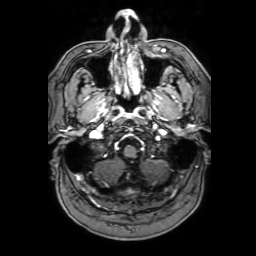
3 Tesla brain MRI. Series: 3D T1-weighted with SENSE. Study: ring-enhancing brain masses.